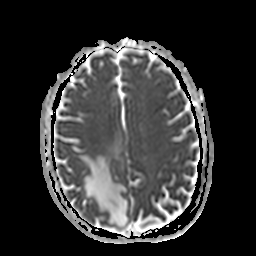
Q: What kind of scan is this?
A: 3 Tesla brain MRI.
Q: Series?
A: Apparent diffusion coefficient (ADC) map.
Study: ring-enhancing brain masses.